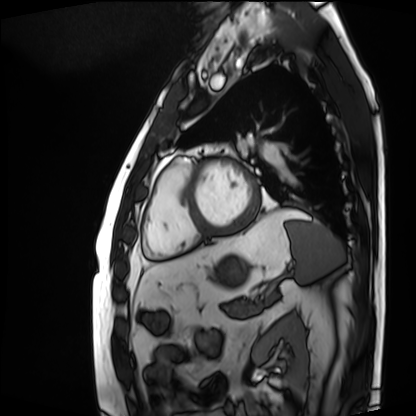
Case summary:
Cardiac MRI. Subject group: patient.